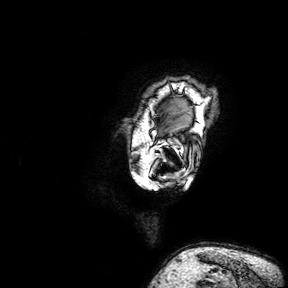
• modality: 3 Tesla brain MRI
• series: 3D T1-weighted turbo field echo with SENSE
• study: ring-enhancing brain masses